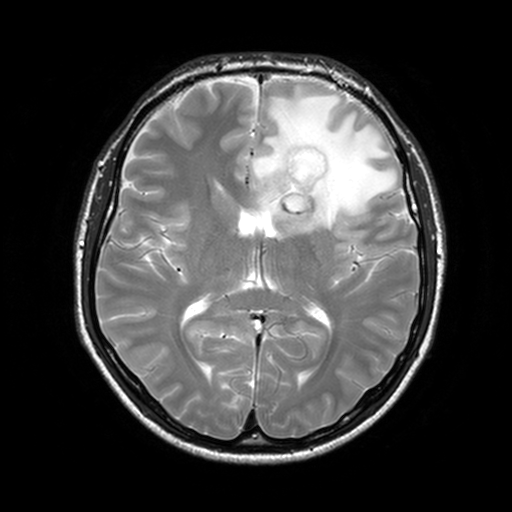
• modality: 3 Tesla brain MRI
• series: T2-weighted turbo spin echo, 3 mm
• study: ring-enhancing brain masses